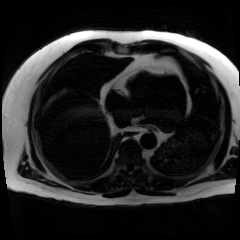
Chemical-shift-encoded cardiac MRI.